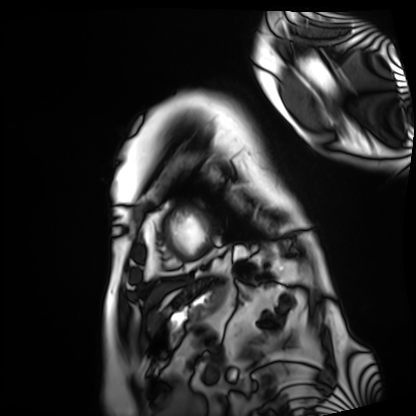
{"modality": "cardiac MRI", "cohort": "patient"}